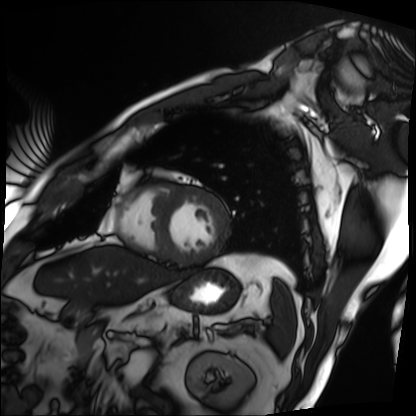
Cardiac MRI. Subject group: patient.